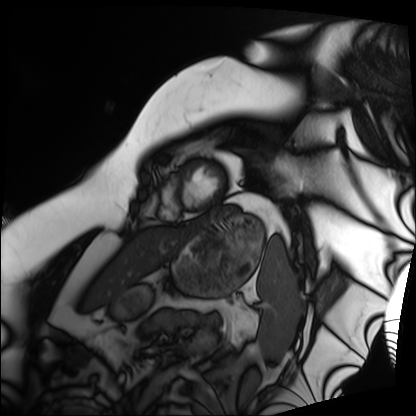
Cardiac MRI. Subject group: patient.